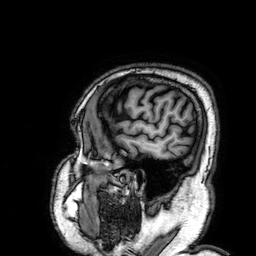
Q: What kind of scan is this?
A: 3 Tesla brain MRI.
Q: Series?
A: 3D T1-weighted.
Study: ring-enhancing brain masses.